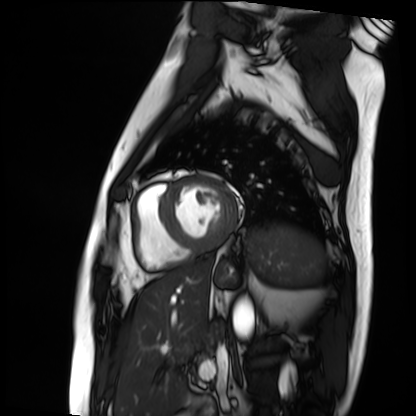
<study>
<modality>cardiac MRI</modality>
<cohort>patient</cohort>
</study>